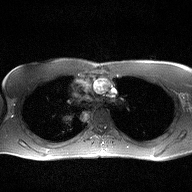
modality: 2D phase-contrast cine MRI of the ascending aorta